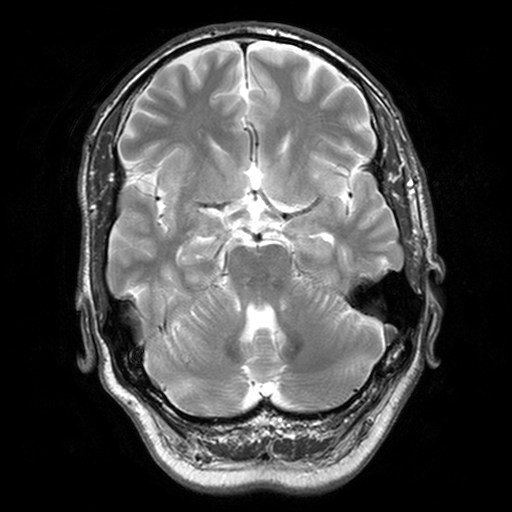
3 Tesla brain MRI. Series: T2-weighted turbo spin echo, 3 mm. Study: ring-enhancing brain masses.